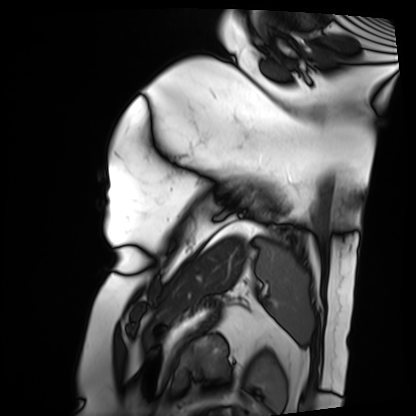
modality = cardiac MRI, subject group = patient.